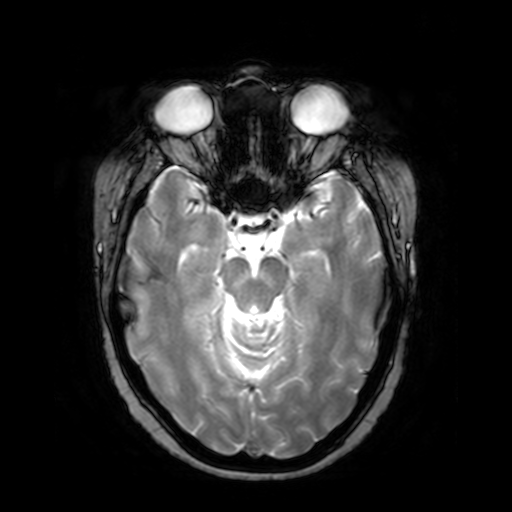
3 Tesla brain MRI. Series: T2-weighted fast field echo. Study: ring-enhancing brain masses.